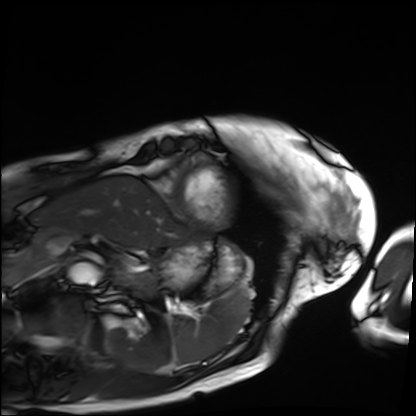
* modality: cardiac MRI
* subject group: patient